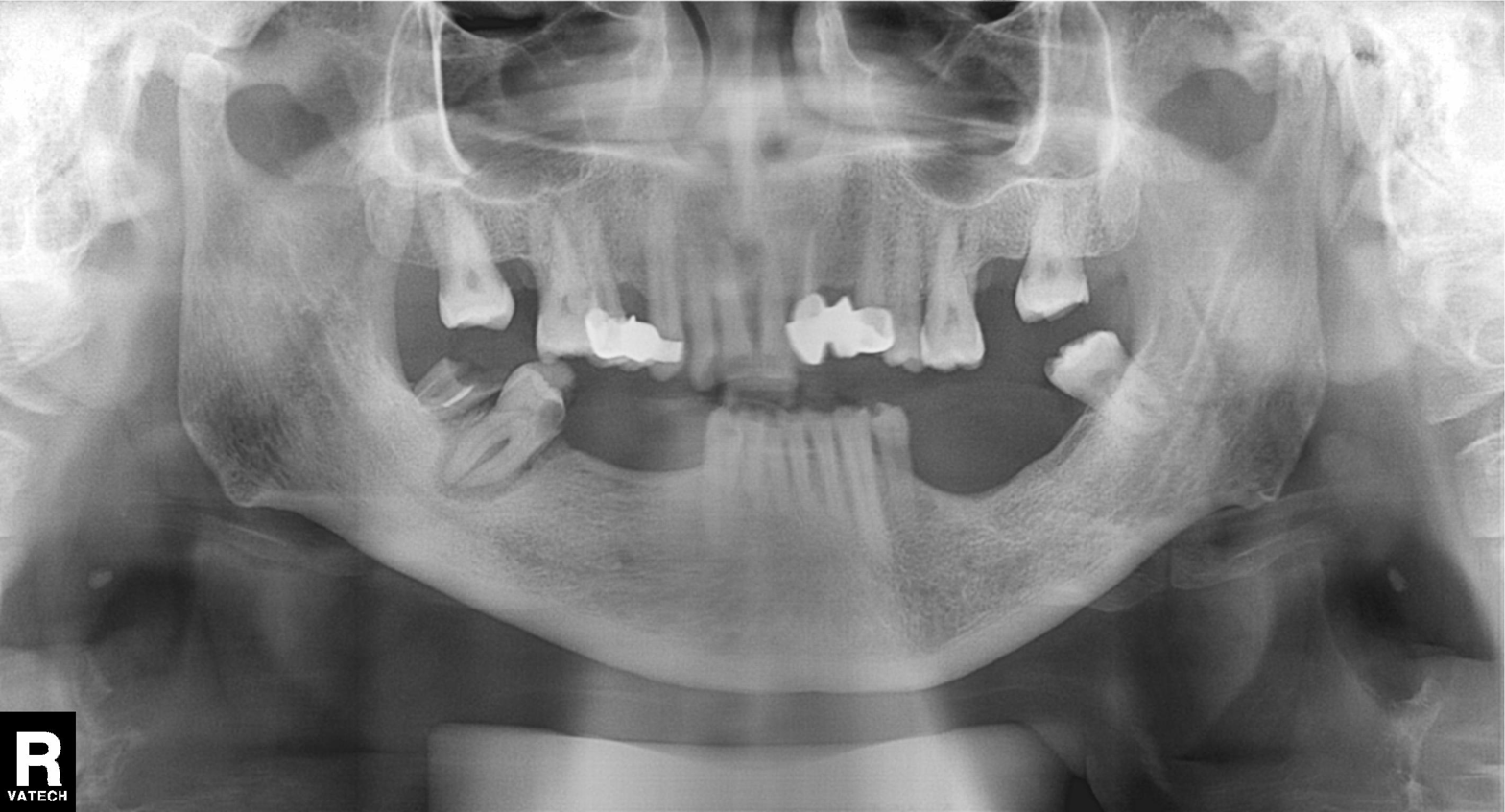
modality = panoramic dental radiograph (orthopantomogram) | finding = dental caries (cavities).